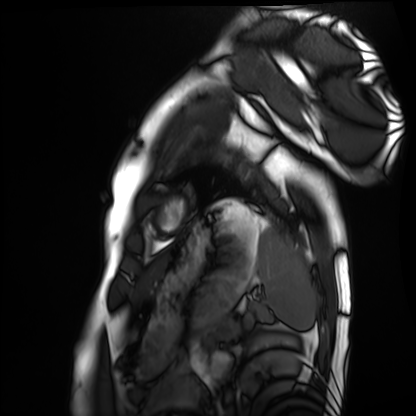
Cardiac MRI. Subject group: healthy volunteer.